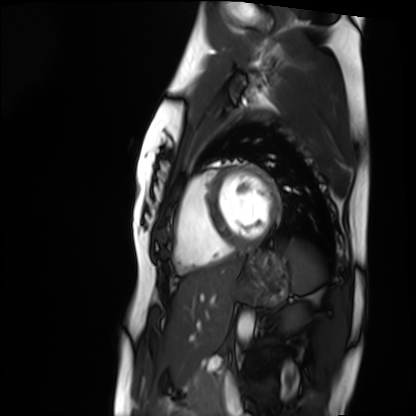
| field | value |
|---|---|
| modality | cardiac MRI |
| subject group | healthy volunteer |